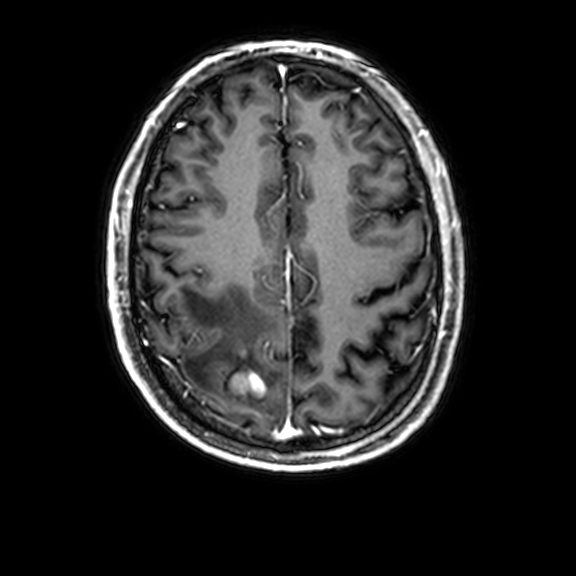
{
  "modality": {
    "type": "brain MRI",
    "field_strength": "3T"
  },
  "series": "3D T1-weighted with CLEAR",
  "study_topic": "ring-enhancing brain masses"
}